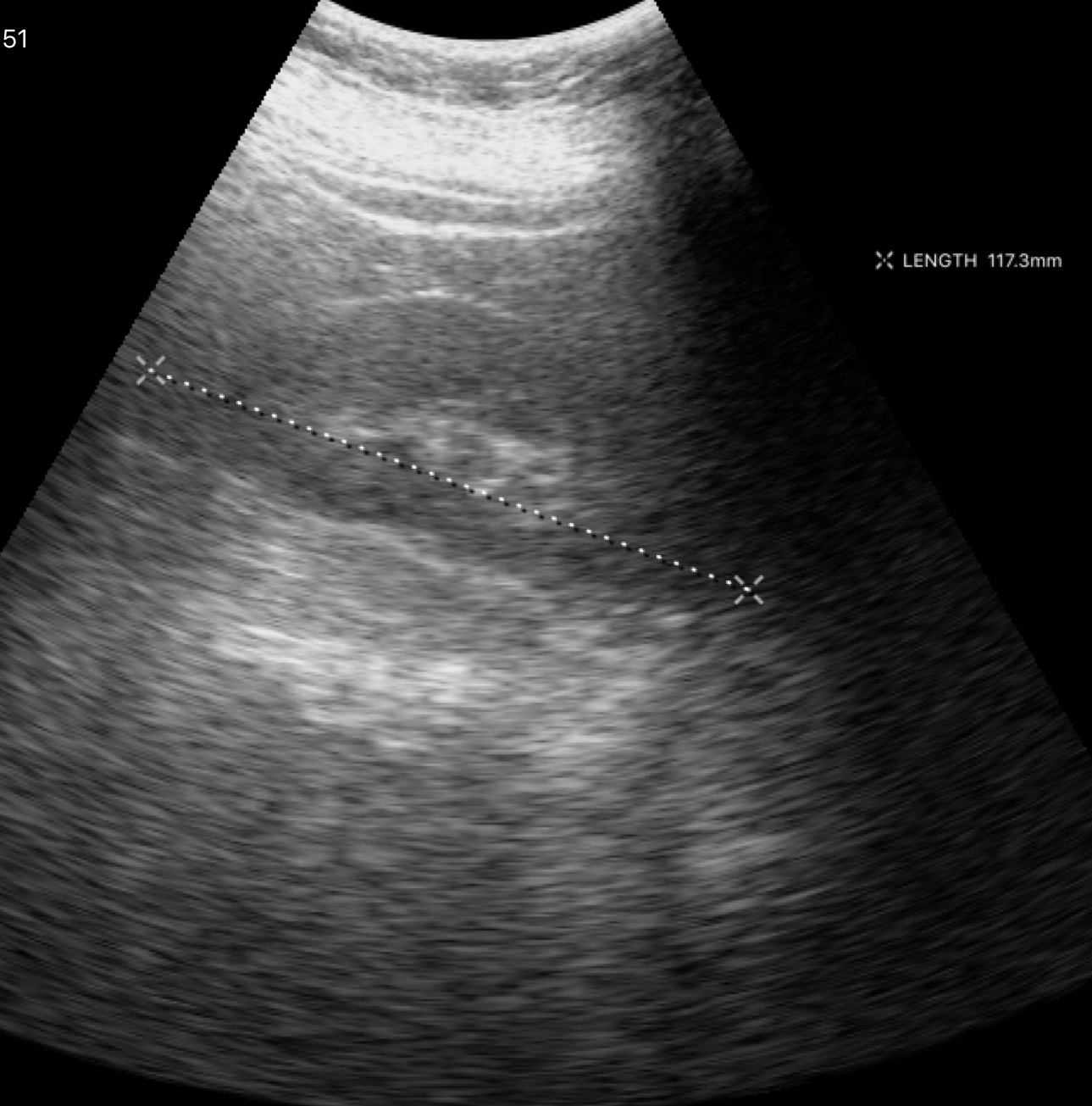
Q: What kind of scan is this?
A: Genitourinary ultrasound.